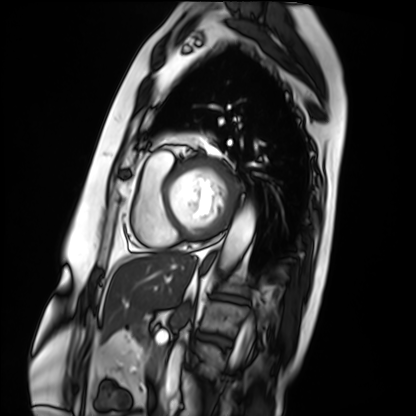
Cardiac MRI. Subject group: patient.